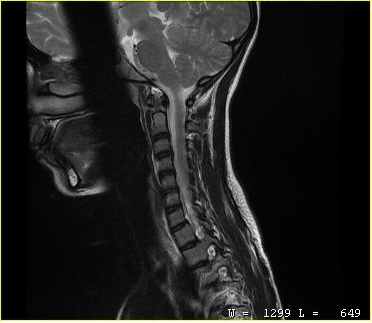
modality: MRI of the cervical spine
study: cervical spondylosis